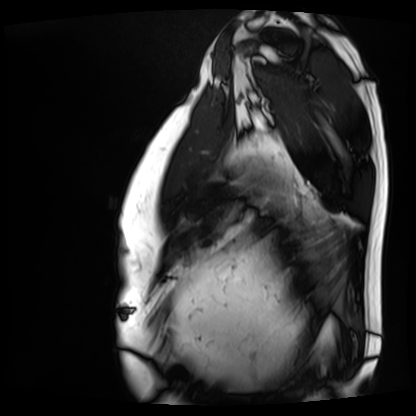
Case summary: Cardiac MRI. Subject group: patient.